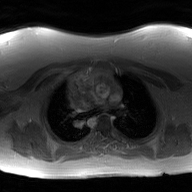
Case summary:
2D phase-contrast cine MRI of the ascending aorta, GAN super-resolution reconstruction.